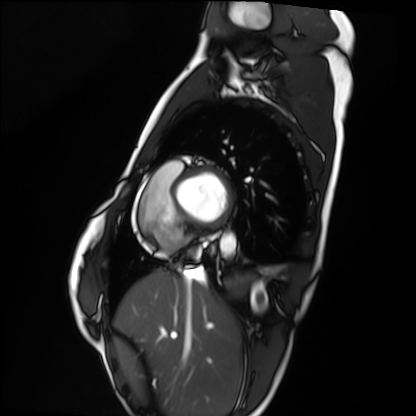
Cardiac MRI. Subject group: healthy volunteer.